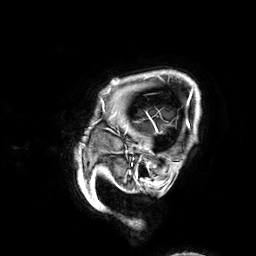
3 Tesla brain MRI. Series: 3D T1-weighted. Study: ring-enhancing brain masses.